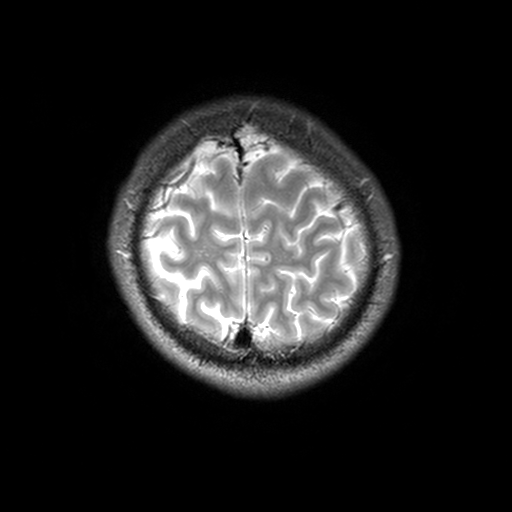
3 Tesla brain MRI. Series: T2-weighted turbo spin echo, 3 mm. Study: ring-enhancing brain masses.